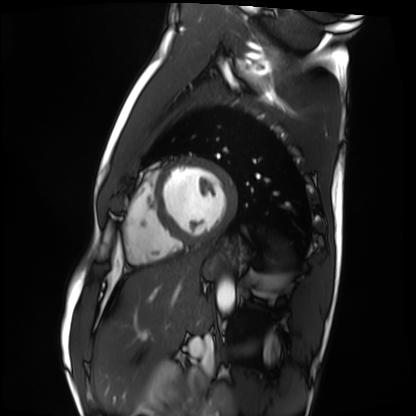
Cardiac MRI.
Subject group: healthy volunteer.